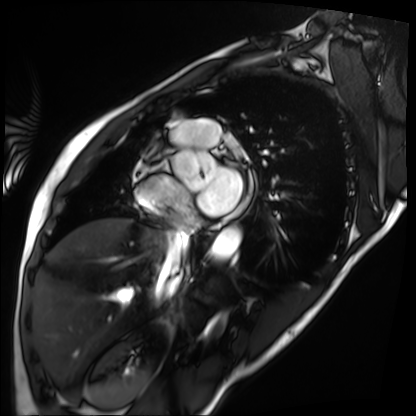
modality: cardiac MRI
subject group: patient